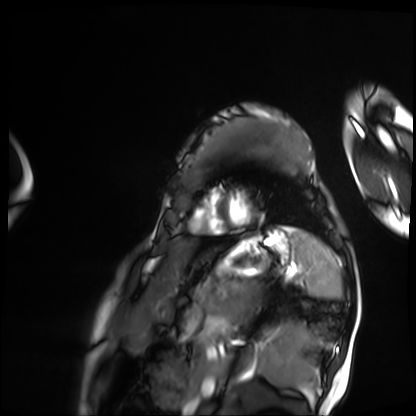
{"modality": "cardiac MRI", "cohort": "patient"}